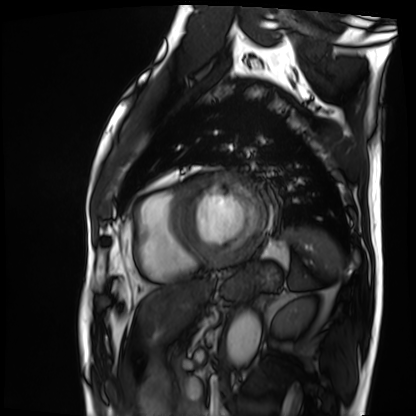
Cardiac MRI. Subject group: patient.